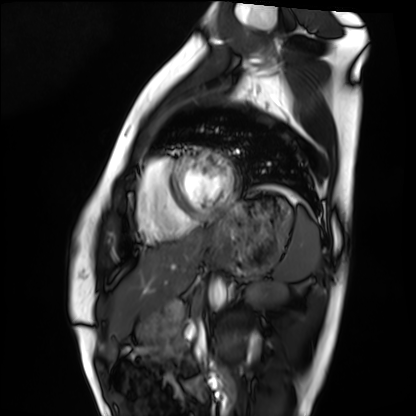
Cardiac MRI.
Subject group: healthy volunteer.